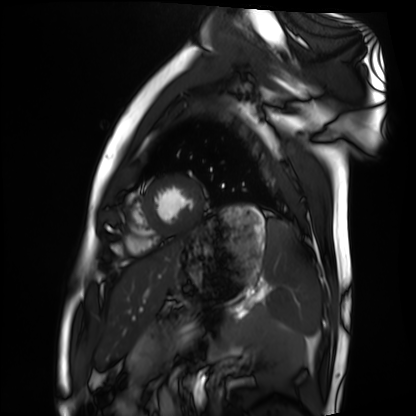
Cardiac MRI.
Subject group: healthy volunteer.